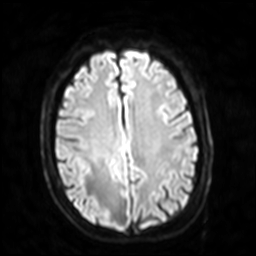
<case>
<modality>
  <type>brain MRI</type>
  <field_strength>3T</field_strength>
</modality>
<series>diffusion-weighted imaging with SENSE (WIP)</series>
<study_topic>ring-enhancing brain masses</study_topic>
</case>